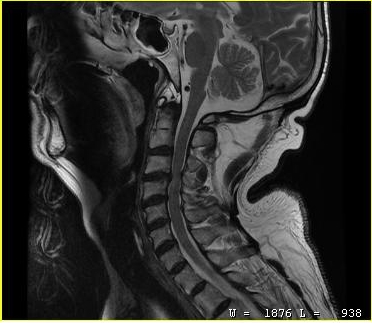
MRI of the cervical spine. Study: cervical spondylosis.